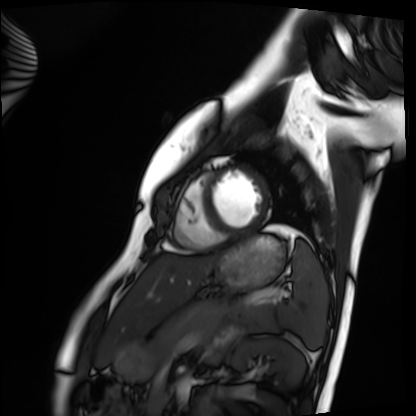
  modality: cardiac MRI
  cohort: healthy volunteer